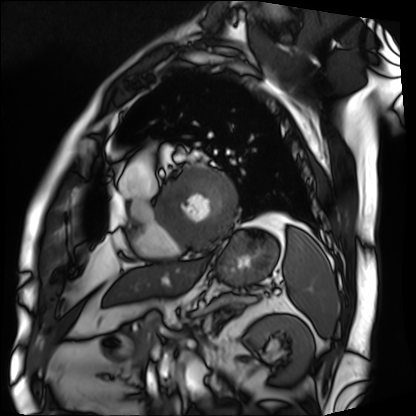
modality: cardiac MRI
subject group: patient